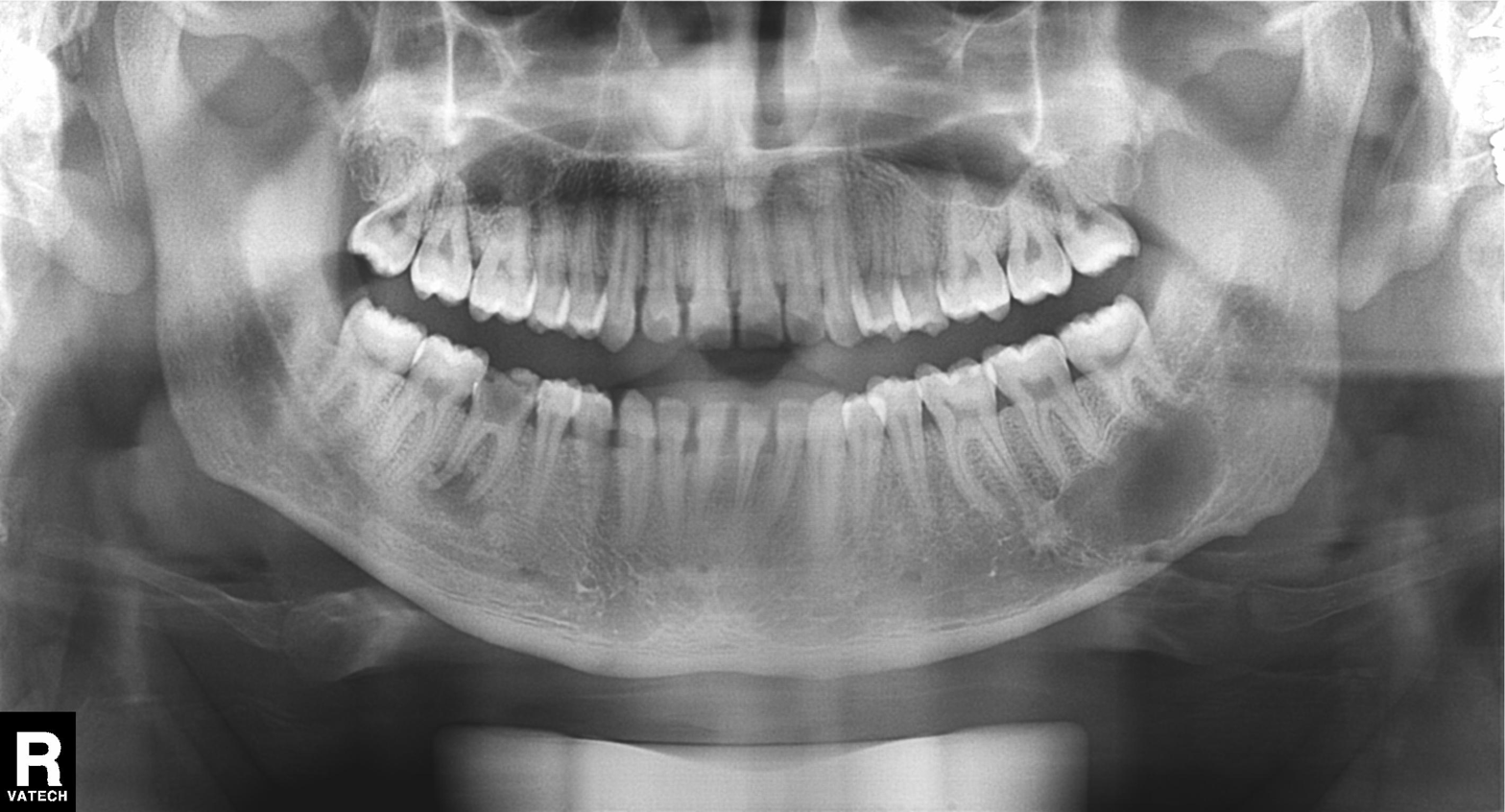
Panoramic dental radiograph (orthopantomogram). Finding: dental caries (cavities).